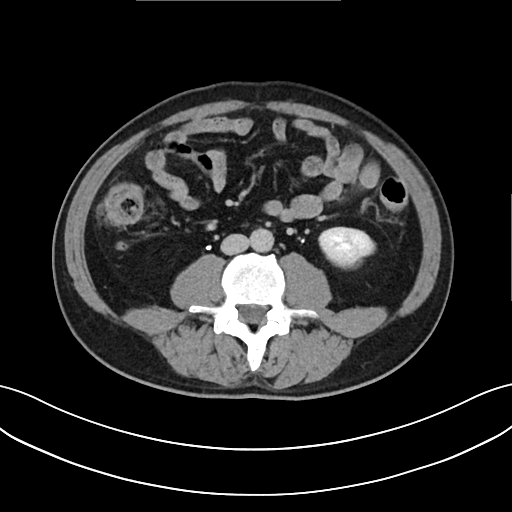
{"modality": {"type": "multiphase abdominal CT", "region": "liver", "phase": "delayed"}, "patient": {"sex": "male", "age": 51}}